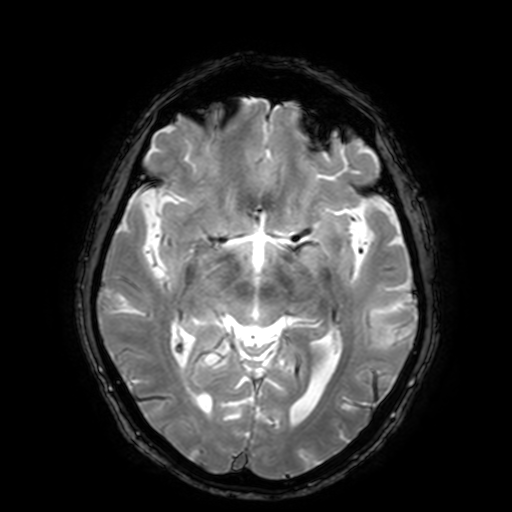
{
  "modality": {
    "type": "brain MRI",
    "field_strength": "3T"
  },
  "series": "T2-weighted fast field echo with SENSE",
  "study_topic": "ring-enhancing brain masses"
}